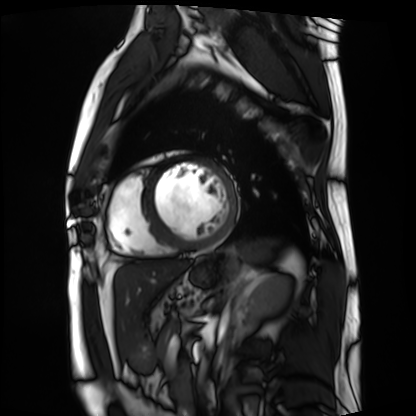
Cardiac MRI.
Subject group: patient.